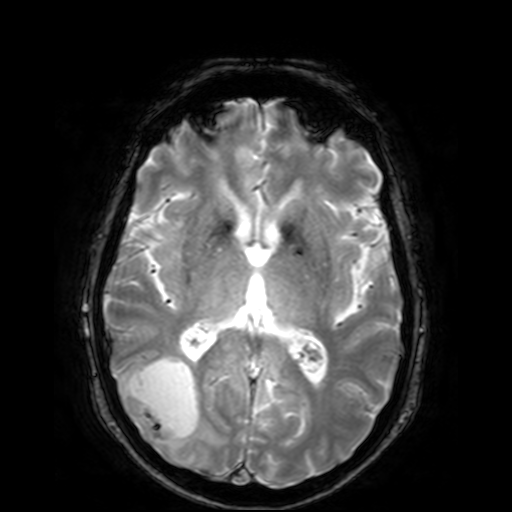
<scan>
<modality>
  <type>brain MRI</type>
  <field_strength>3T</field_strength>
</modality>
<series>T2-weighted fast field echo</series>
<study_topic>ring-enhancing brain masses</study_topic>
</scan>